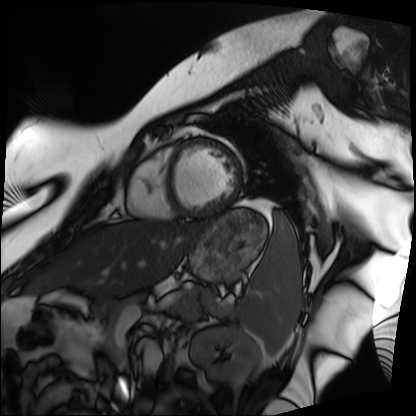
Cardiac MRI. Subject group: patient.